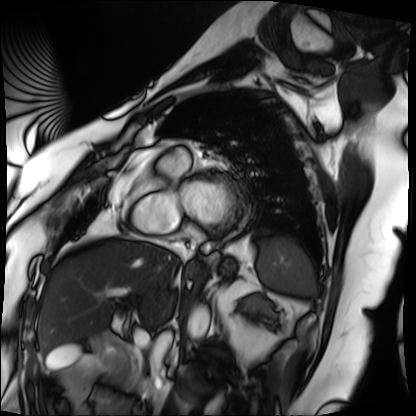
| field | value |
|---|---|
| modality | cardiac MRI |
| subject group | patient |